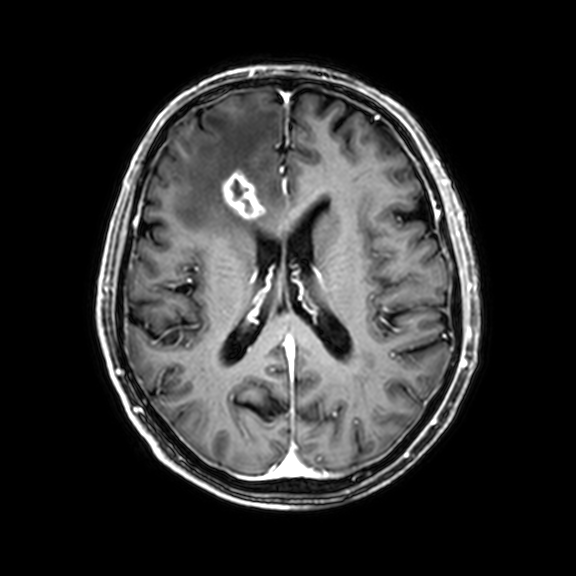
Summary: 3 Tesla brain MRI. Series: 3D T1-weighted with CLEAR. Study: ring-enhancing brain masses.